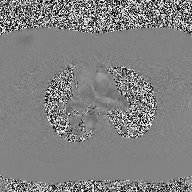
{
  "modality": {
    "type": "2D phase-contrast cine MRI",
    "region": "ascending aorta",
    "reconstruction": "high-resolution GRAPPA acquisition"
  }
}